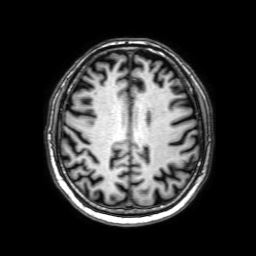
Case summary: 3 Tesla brain MRI. Series: 3D T1-weighted with SENSE. Study: ring-enhancing brain masses.